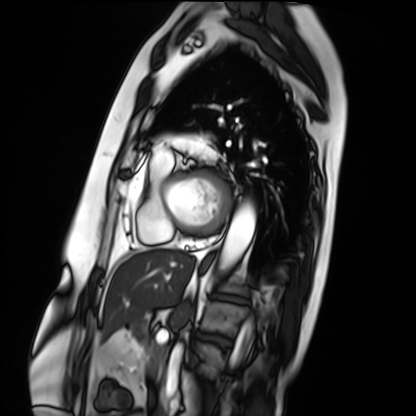
modality: cardiac MRI | subject group: patient.